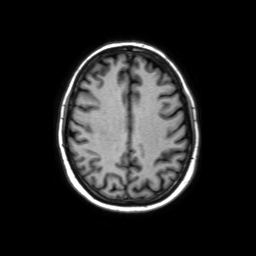
3 Tesla brain MRI. Series: axial without contrast. Study: ring-enhancing brain masses.